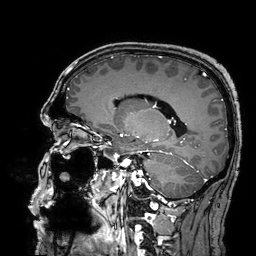
{
  "modality": {
    "type": "brain MRI",
    "field_strength": "3T"
  },
  "series": "3D T1-weighted turbo field echo with SENSE",
  "study_topic": "ring-enhancing brain masses"
}